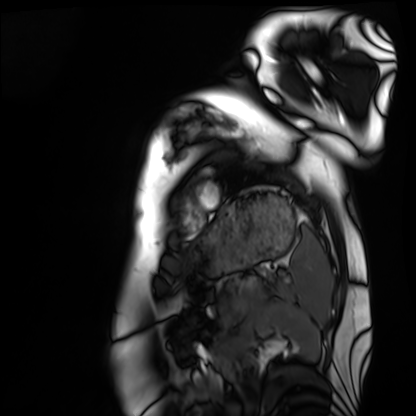
Clinical context:
Cardiac MRI. Subject group: healthy volunteer.